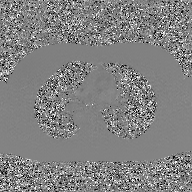
modality: 2D phase-contrast cine MRI of the ascending aorta, GAN super-resolution reconstruction